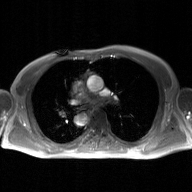
modality = 2D phase-contrast cine MRI of the ascending aorta, GAN super-resolution reconstruction.